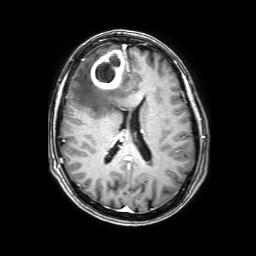
3 Tesla brain MRI. Series: 3D T1-weighted with SENSE. Study: ring-enhancing brain masses.